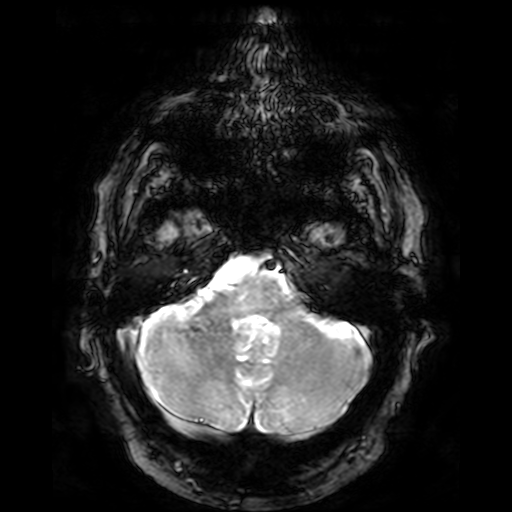
3 Tesla brain MRI. Series: T2-weighted fast field echo. Study: ring-enhancing brain masses.